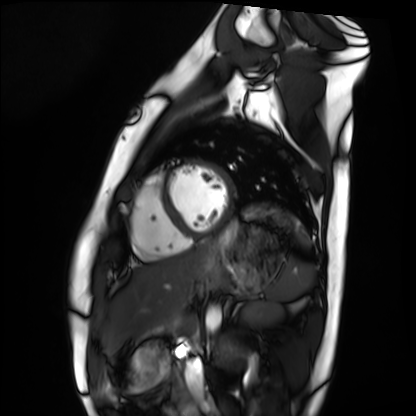
{"modality": "cardiac MRI", "cohort": "healthy volunteer"}